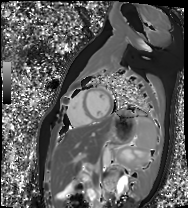
| field | value |
|---|---|
| modality | cardiac MR image of the myocardium |
| subject cohort | healthy volunteer |